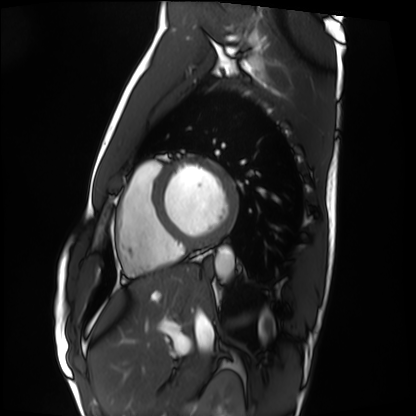
Cardiac MRI.
Subject group: healthy volunteer.